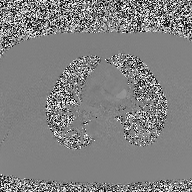
<case>
<modality>
  <type>2D phase-contrast cine MRI</type>
  <region>ascending aorta</region>
  <reconstruction>high-resolution GRAPPA acquisition</reconstruction>
</modality>
</case>